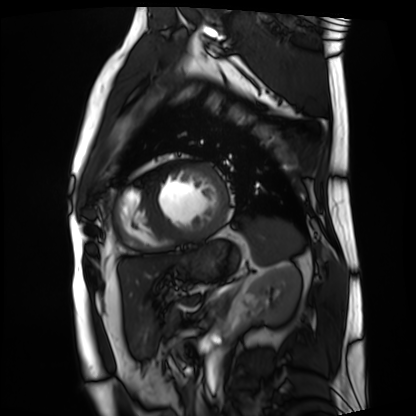
* modality — cardiac MRI
* subject group — patient